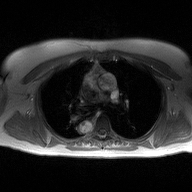
modality — 2D phase-contrast cine MRI of the ascending aorta.